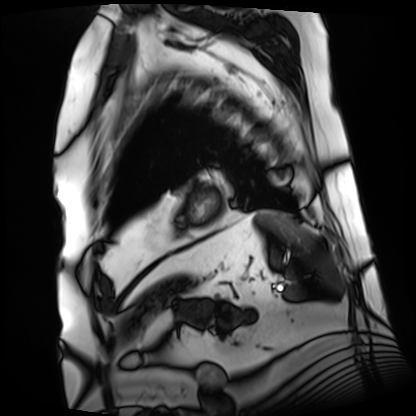
Cardiac MRI. Subject group: patient.